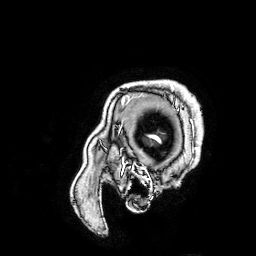
3 Tesla brain MRI. Study: ring-enhancing brain masses.